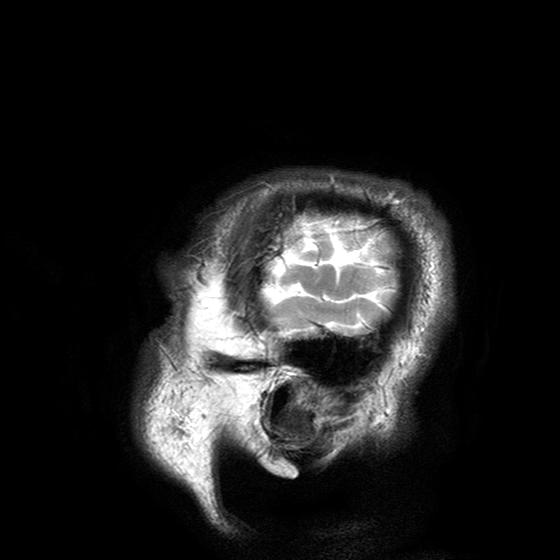
{
  "modality": {
    "type": "brain MRI",
    "field_strength": "3T"
  },
  "series": "T2-weighted turbo spin echo with SENSE",
  "study_topic": "ring-enhancing brain masses"
}